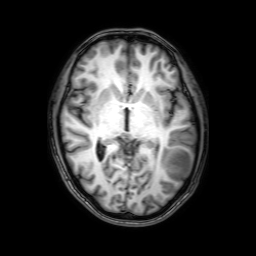
modality = 3 Tesla brain MRI; series = 3D T1-weighted with SENSE; study = ring-enhancing brain masses.